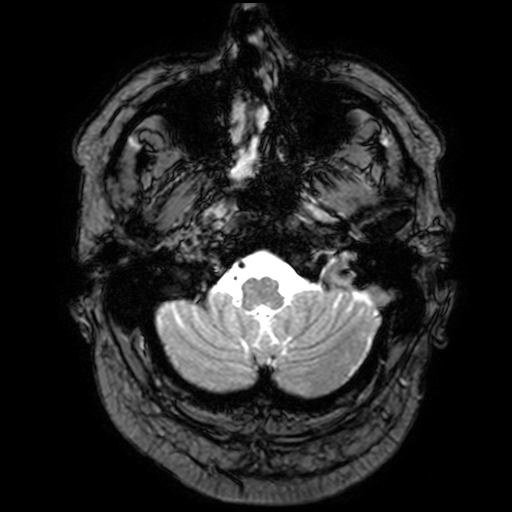
Case summary: 3 Tesla brain MRI. Study: ring-enhancing brain masses.